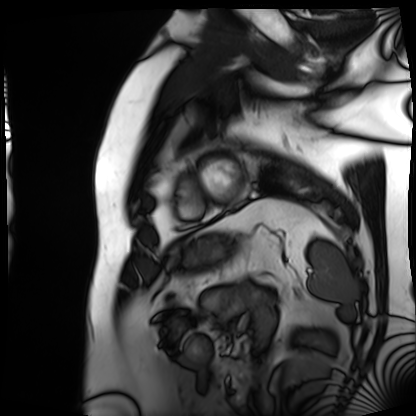
modality = cardiac MRI
subject group = patient